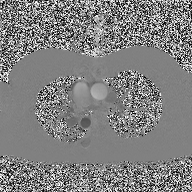
* modality: 2D phase-contrast cine MRI of the ascending aorta